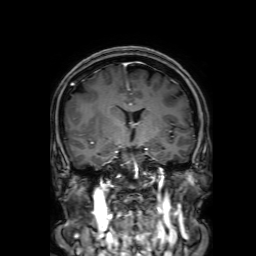
Case:
- modality — 3 Tesla brain MRI
- study — ring-enhancing brain masses